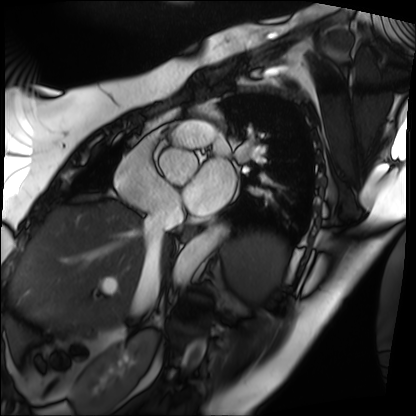
Clinical context:
Cardiac MRI. Subject group: patient.